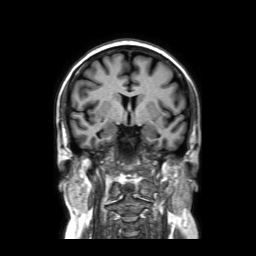
Case summary: 3 Tesla brain MRI. Series: coronal without contrast. Study: ring-enhancing brain masses.